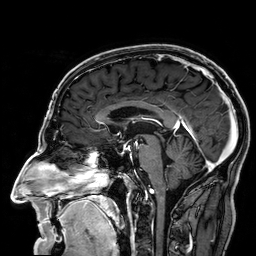
3 Tesla brain MRI. Series: 3D T1-weighted. Study: ring-enhancing brain masses.